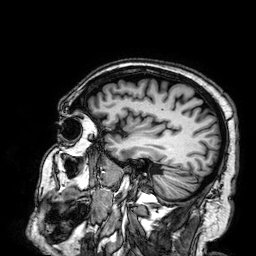
<study>
  <modality>
    <type>brain MRI</type>
    <field_strength>3T</field_strength>
  </modality>
  <series>3D T1-weighted</series>
  <study_topic>ring-enhancing brain masses</study_topic>
</study>